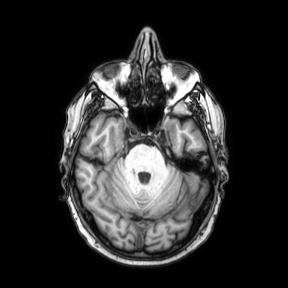
3 Tesla brain MRI. Series: axial. Study: ring-enhancing brain masses.